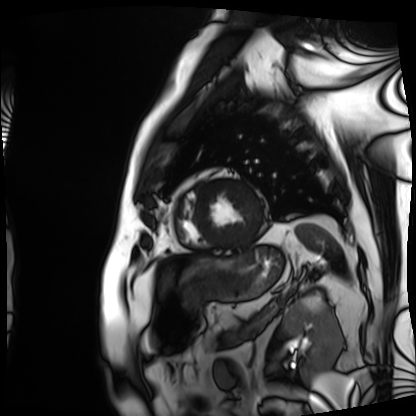
Clinical context: Cardiac MRI. Subject group: patient.